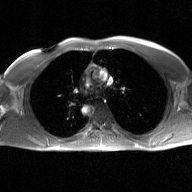
2D phase-contrast cine MRI of the ascending aorta, GAN super-resolution reconstruction.